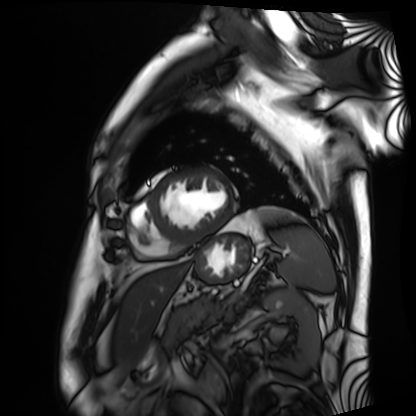
  modality: cardiac MRI
  cohort: patient